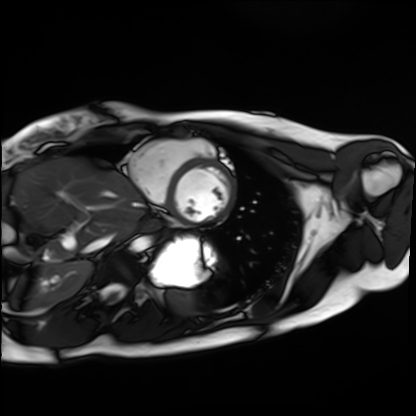
Q: What kind of scan is this?
A: Cardiac MRI.
Subject group: healthy volunteer.